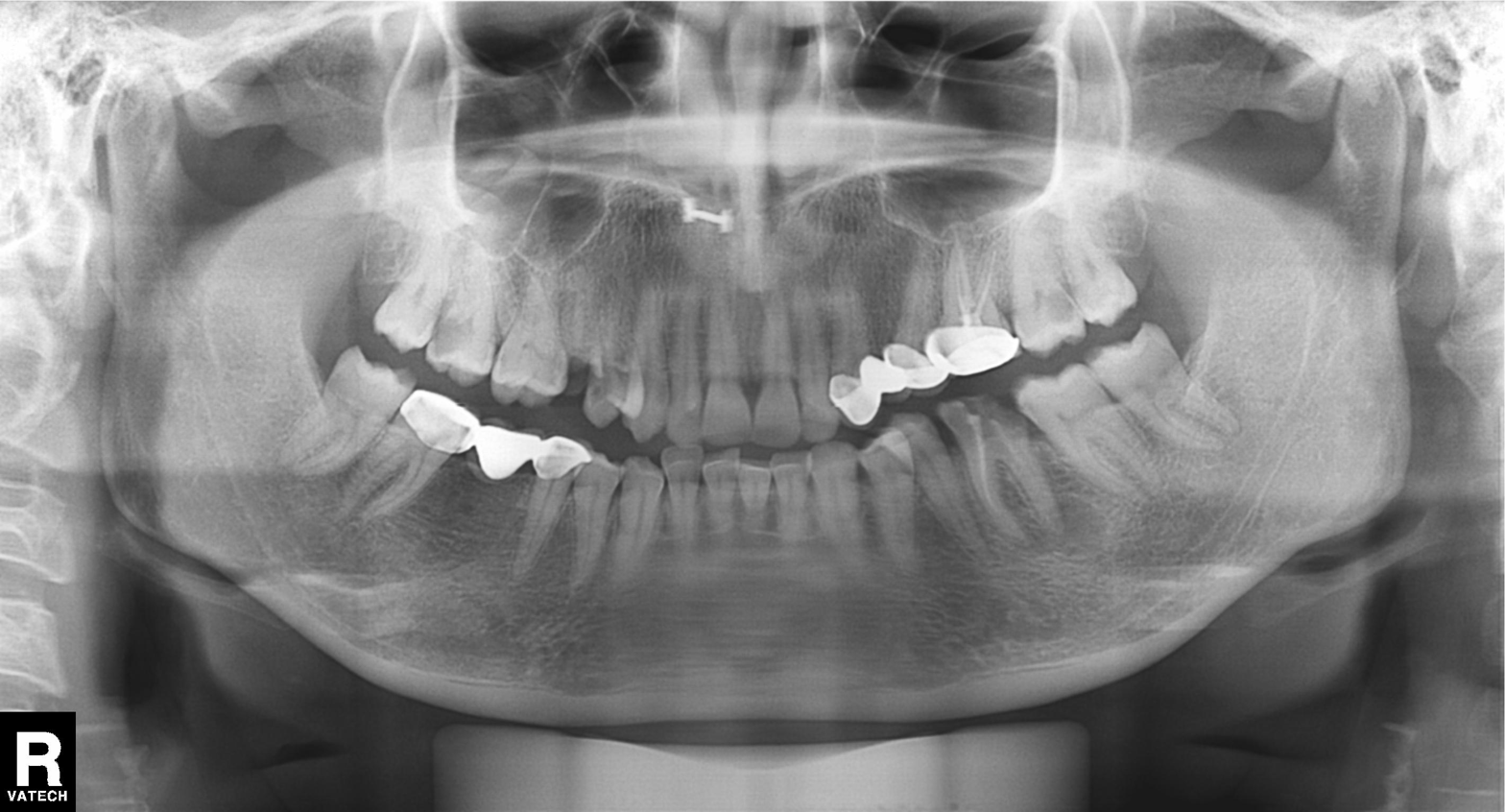
modality: panoramic dental radiograph (orthopantomogram); finding: alveolar bone loss.